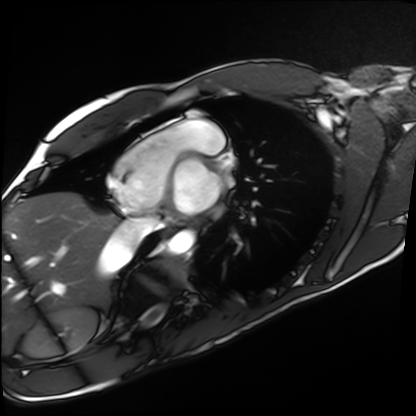
* modality · cardiac MRI
* subject group · healthy volunteer